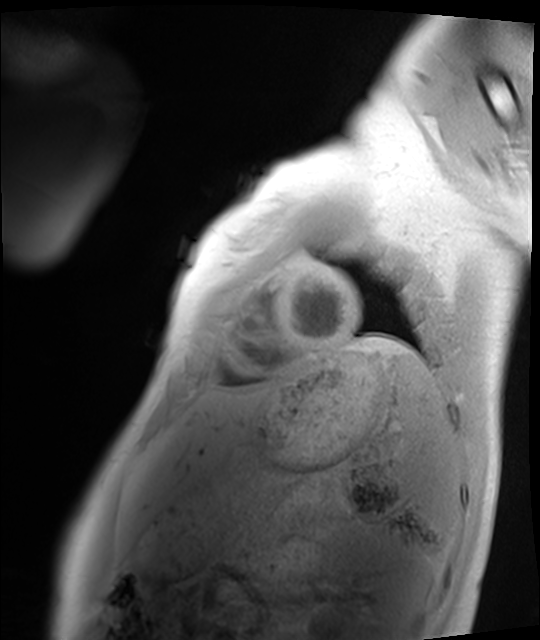
| field | value |
|---|---|
| modality | cardiac MRI |
| subject group | healthy volunteer |